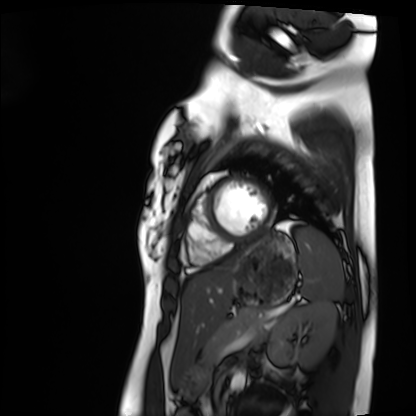
Cardiac MRI.
Subject group: healthy volunteer.